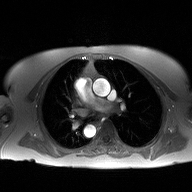
modality: 2D phase-contrast cine MRI of the ascending aorta